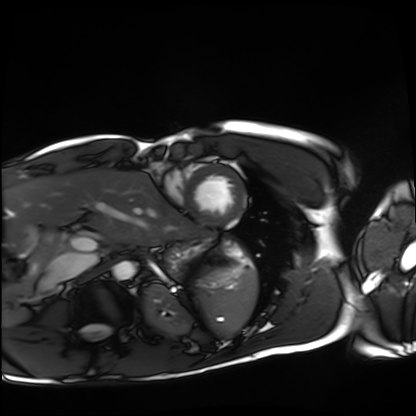
modality: cardiac MRI; subject group: healthy volunteer.